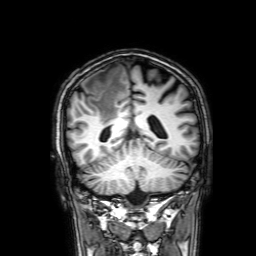
Summary: 3 Tesla brain MRI. Series: 3D T1-weighted with SENSE. Study: ring-enhancing brain masses.